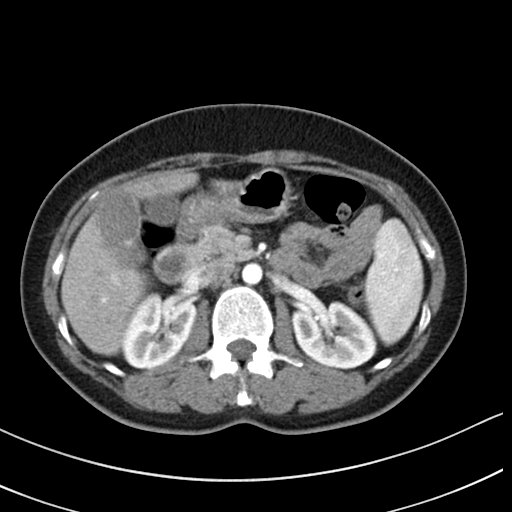
modality = multiphase abdominal CT, liver, arterial phase
patient = female, age 46